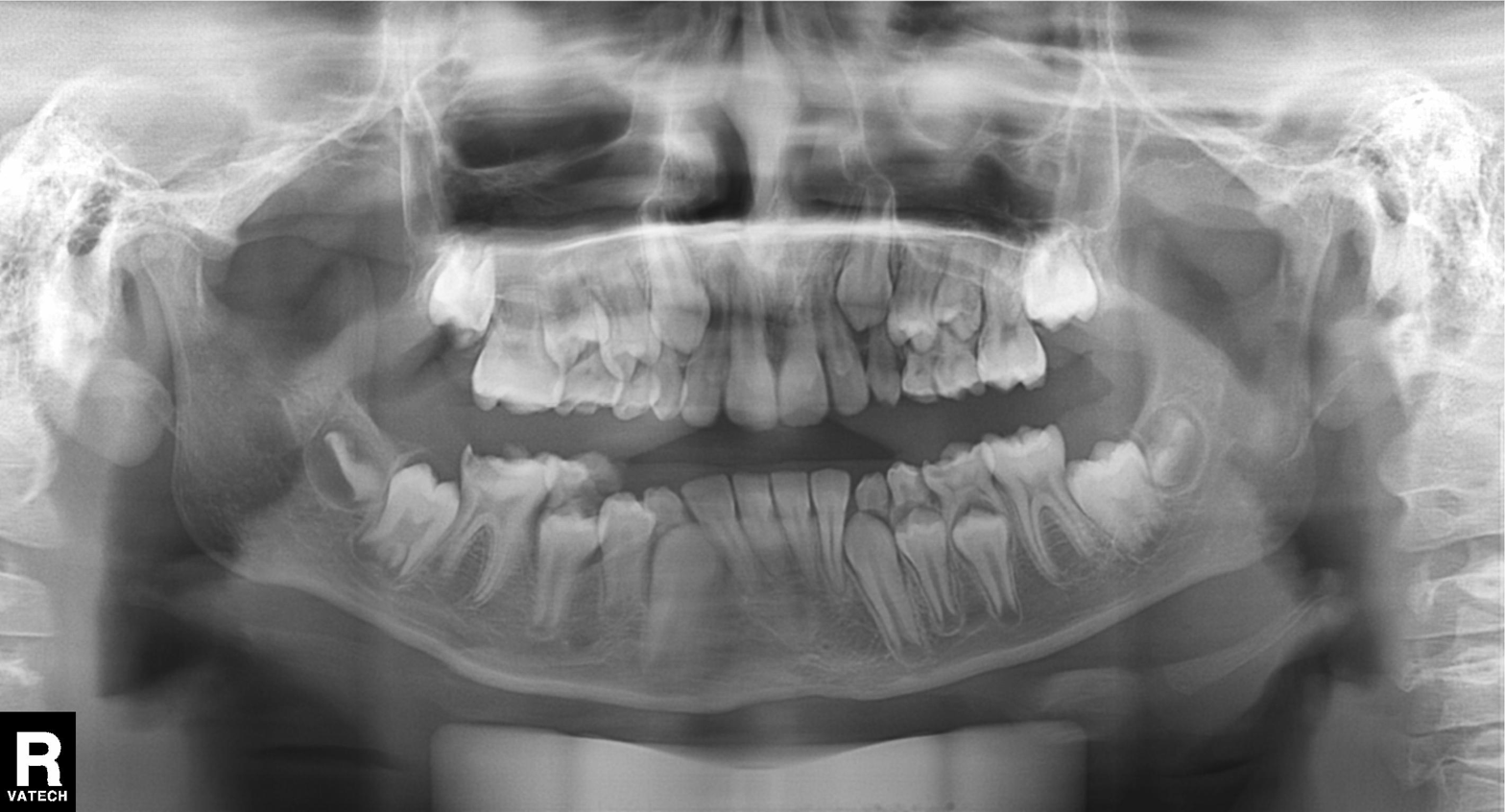
modality: panoramic dental radiograph (orthopantomogram); finding: tooth impaction.